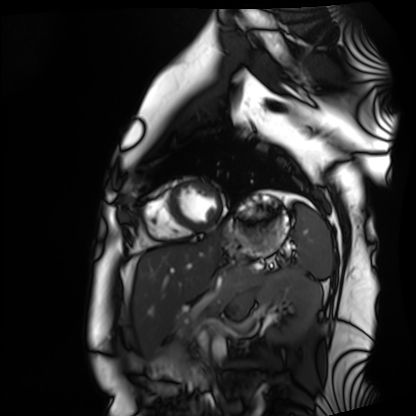
  modality: cardiac MRI
  cohort: healthy volunteer